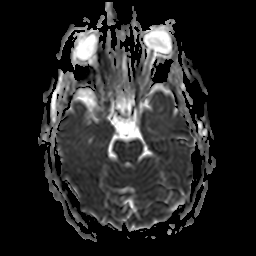
Summary: 3 Tesla brain MRI. Series: apparent diffusion coefficient (ADC) map. Study: ring-enhancing brain masses.